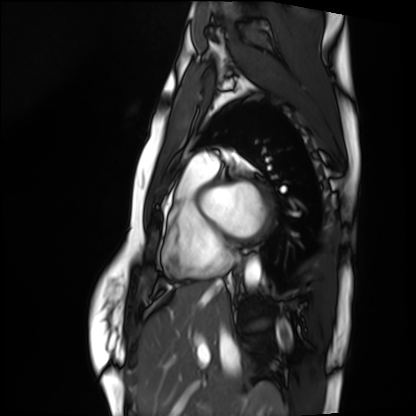
Cardiac MRI.
Subject group: healthy volunteer.